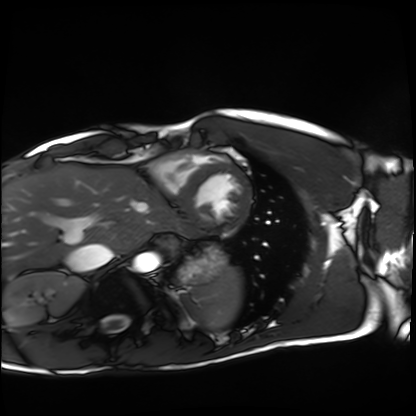
modality: cardiac MRI, subject group: healthy volunteer.